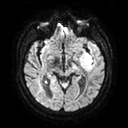
Clinical context:
3 Tesla brain MRI. Series: diffusion tensor imaging (medium iso). Study: ring-enhancing brain masses.